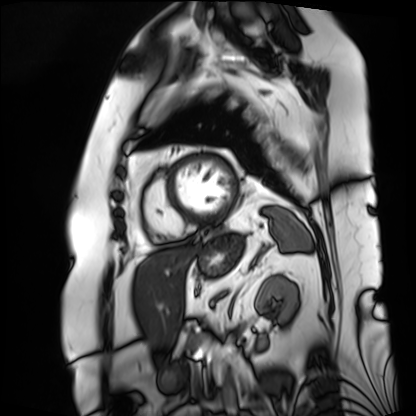
{
  "modality": "cardiac MRI",
  "cohort": "patient"
}